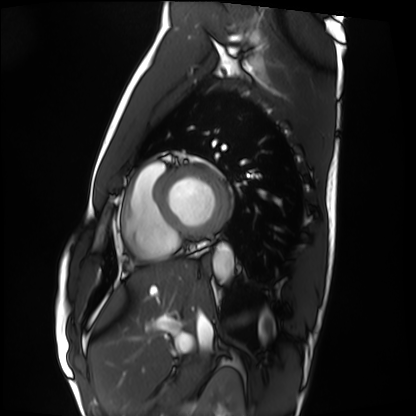
{
  "modality": "cardiac MRI",
  "cohort": "healthy volunteer"
}